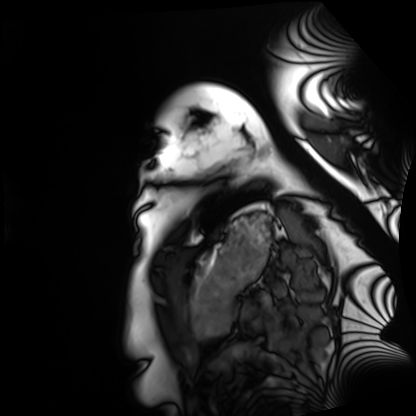
modality: cardiac MRI, subject group: healthy volunteer.